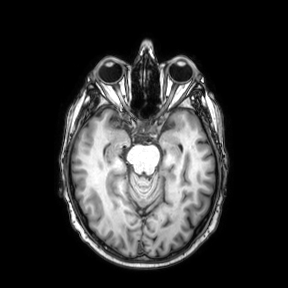
3 Tesla brain MRI.
Series: axial.
Study: ring-enhancing brain masses.